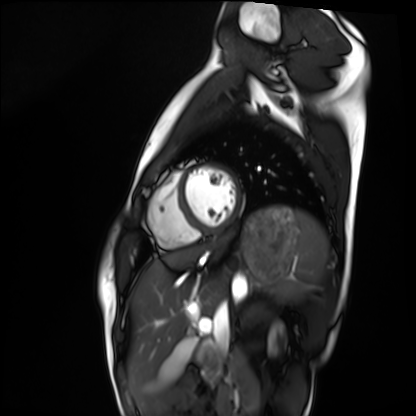
modality — cardiac MRI
subject group — healthy volunteer